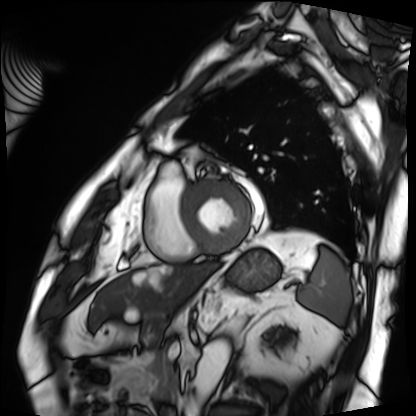
Cardiac MRI. Subject group: patient.